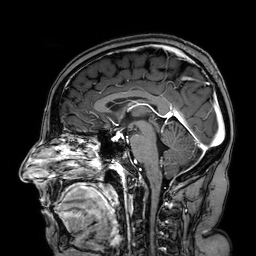
3 Tesla brain MRI. Series: 3D T1-weighted turbo field echo with SENSE. Study: ring-enhancing brain masses.